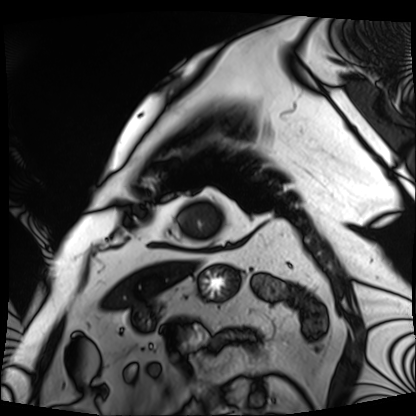
Cardiac MRI.
Subject group: patient.